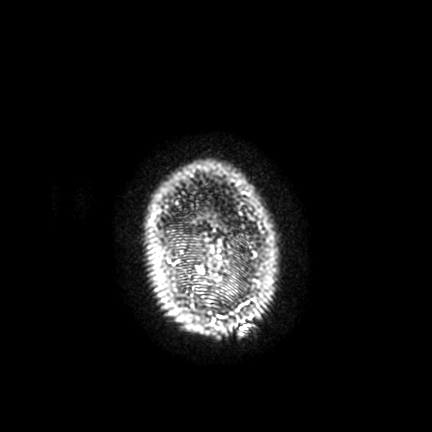
Clinical context:
3 Tesla brain MRI. Series: FLAIR VISTA with SENSE. Study: ring-enhancing brain masses.